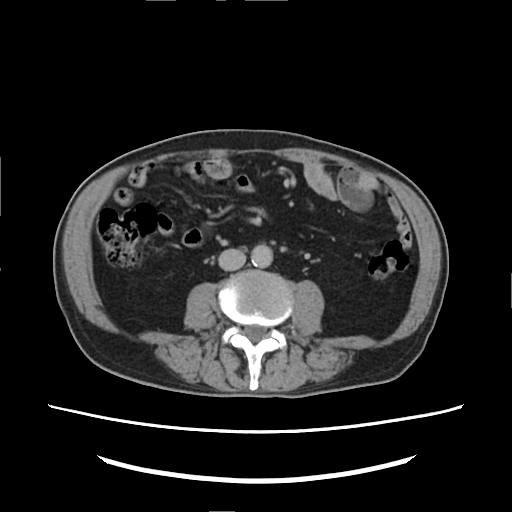
* modality: multiphase abdominal CT, liver, delayed phase
* patient: male, age 82
* history: viral hepatitis